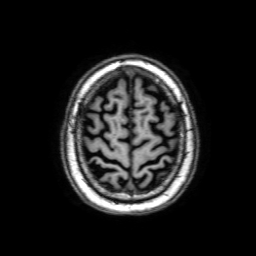
Case summary:
3 Tesla brain MRI. Series: 3D T1-weighted with SENSE. Study: ring-enhancing brain masses.